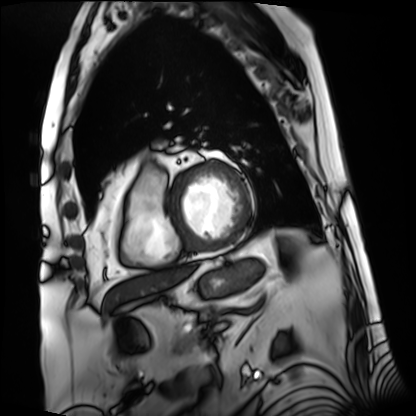
Cardiac MRI.
Subject group: patient.